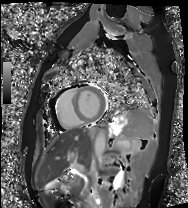
Cardiac MRI. Subject group: healthy volunteer.